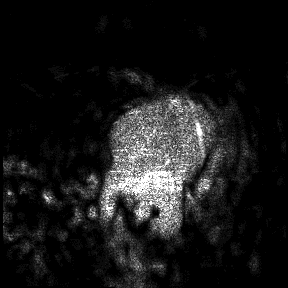
3 Tesla brain MRI. Study: ring-enhancing brain masses.